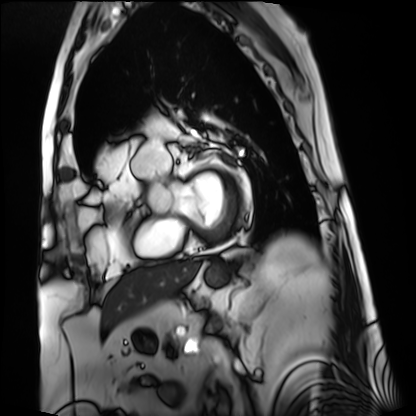
| field | value |
|---|---|
| modality | cardiac MRI |
| subject group | patient |